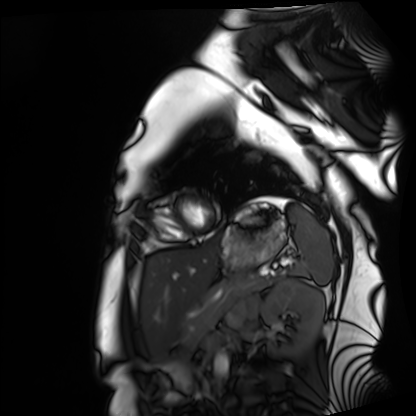
{
  "modality": "cardiac MRI",
  "cohort": "healthy volunteer"
}